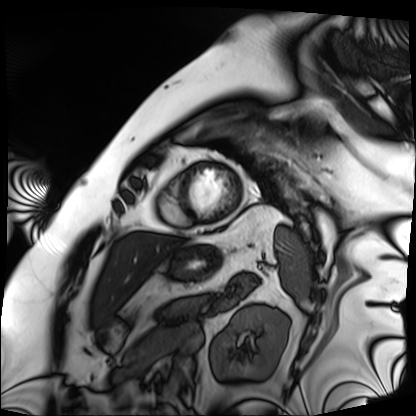
modality — cardiac MRI | subject group — patient.